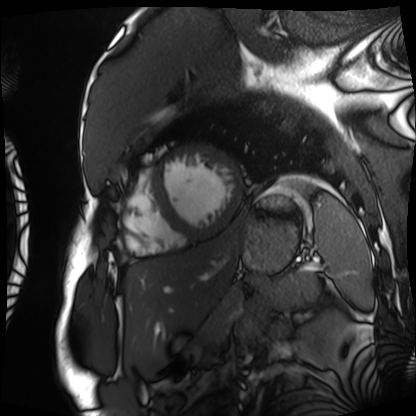
modality = cardiac MRI
subject group = patient